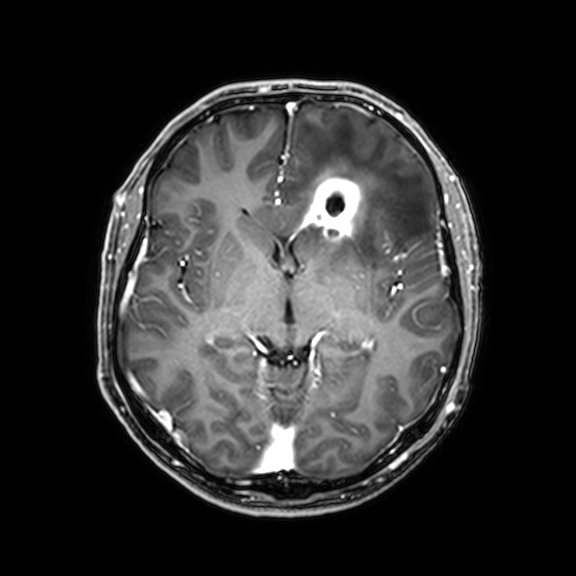
Q: What kind of scan is this?
A: 3 Tesla brain MRI.
Q: Series?
A: 3D T1-weighted with CLEAR.
Study: ring-enhancing brain masses.